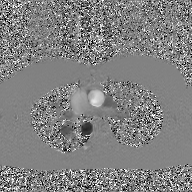
– modality — 2D phase-contrast cine MRI of the ascending aorta, GAN super-resolution reconstruction